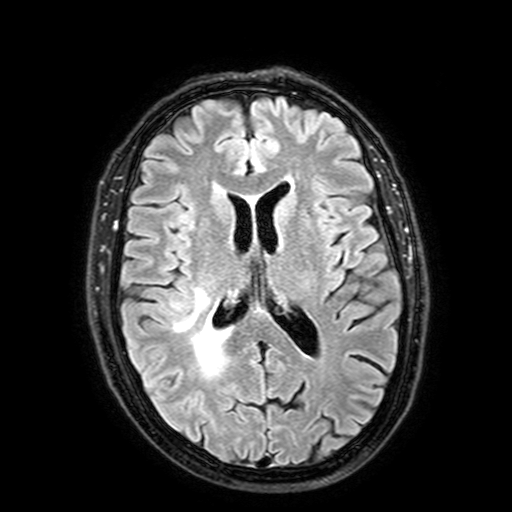
modality = 3 Tesla brain MRI
series = FLAIR with SPAIR, 3 mm
study = ring-enhancing brain masses